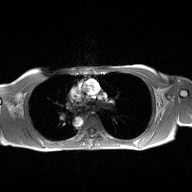
2D phase-contrast cine MRI of the ascending aorta, high-resolution GRAPPA acquisition.